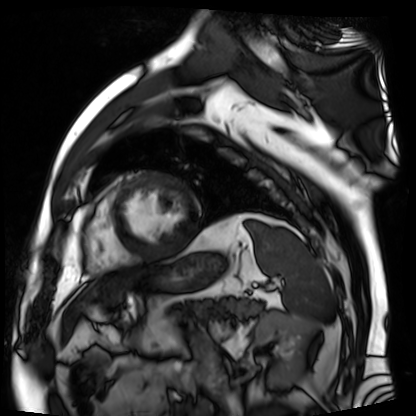
Cardiac MR image of the myocardium.
Subject cohort: cardiac patient.